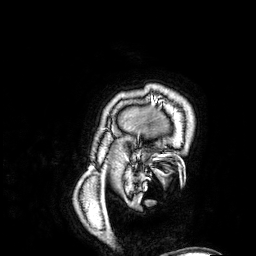
Case summary: 3 Tesla brain MRI. Study: ring-enhancing brain masses.